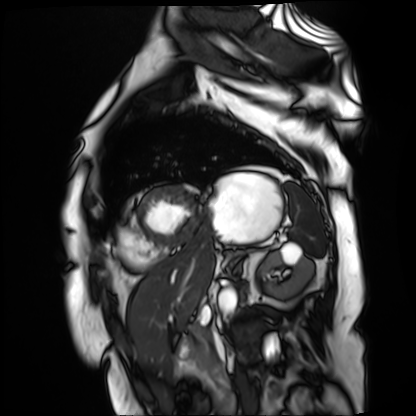
Cardiac MR image of the myocardium.
Subject cohort: cardiac patient.